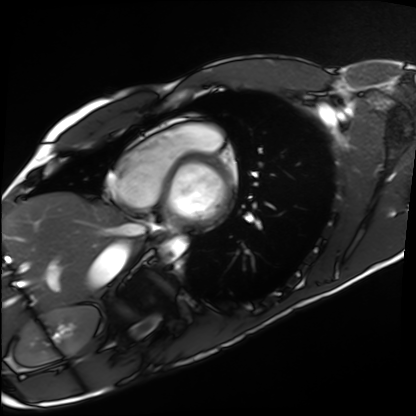
modality: cardiac MRI; subject group: healthy volunteer.